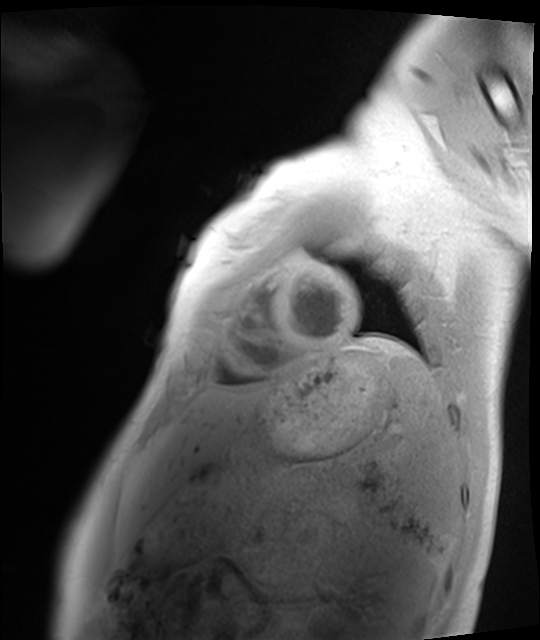
Case:
- modality — cardiac MRI
- subject group — healthy volunteer